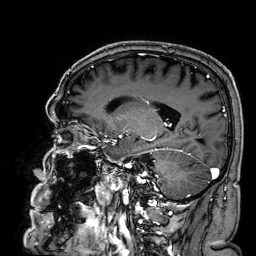
Case summary: 3 Tesla brain MRI. Series: 3D T1-weighted. Study: ring-enhancing brain masses.